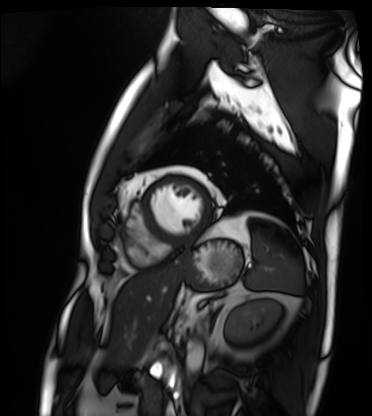
Cardiac MRI.
Subject group: patient.